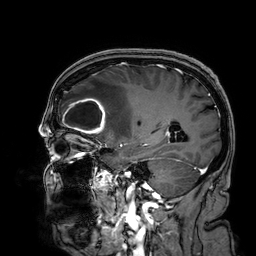
Case:
– modality — 3 Tesla brain MRI
– series — 3D T1-weighted
– study — ring-enhancing brain masses